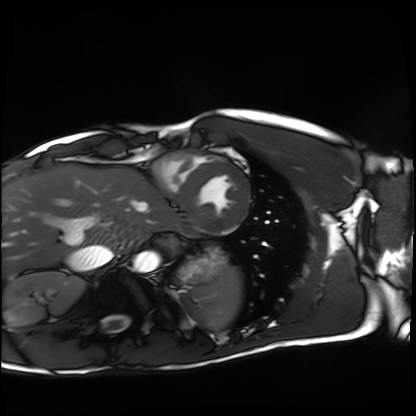
• modality · cardiac MRI
• subject group · healthy volunteer